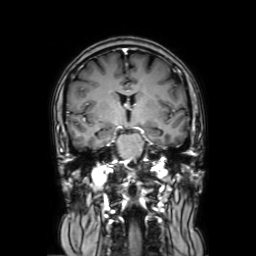
– modality · 3 Tesla brain MRI
– series · coronal with contrast
– study · ring-enhancing brain masses